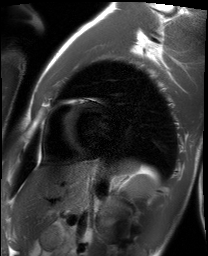
Summary: Cardiac MRI. Subject group: healthy volunteer.